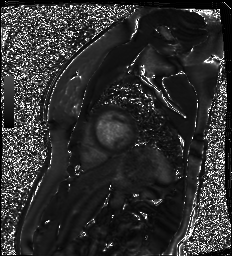
Case summary:
Cardiac MR image of the myocardium. Subject cohort: healthy volunteer.